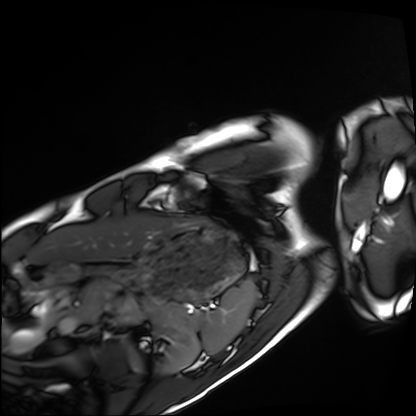
Cardiac MRI.
Subject group: healthy volunteer.